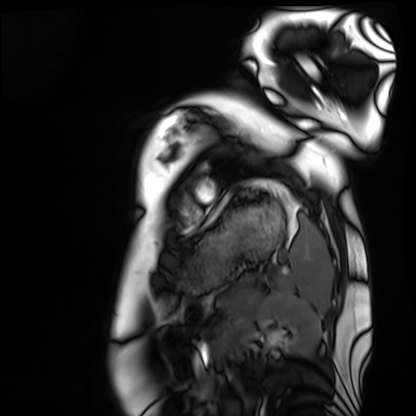
  modality: cardiac MRI
  cohort: healthy volunteer